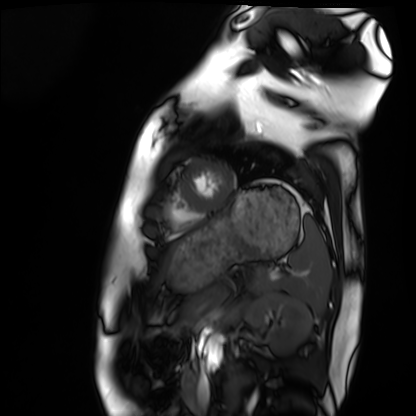
Cardiac MRI. Subject group: healthy volunteer.